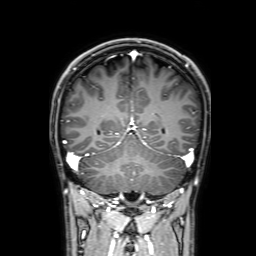
* modality: 3 Tesla brain MRI
* series: 3D T1-weighted with SENSE
* study: ring-enhancing brain masses